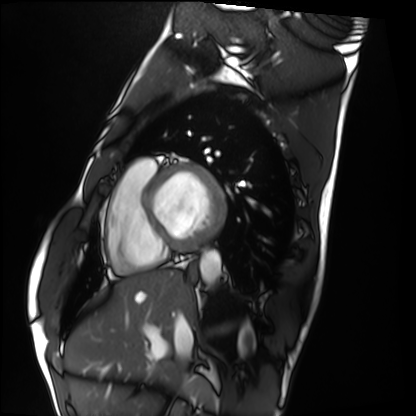
Cardiac MRI. Subject group: healthy volunteer.